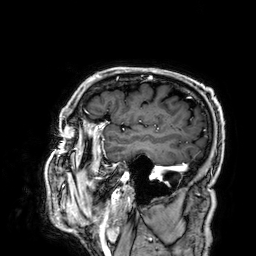
3 Tesla brain MRI.
Series: 3D T1-weighted.
Study: ring-enhancing brain masses.